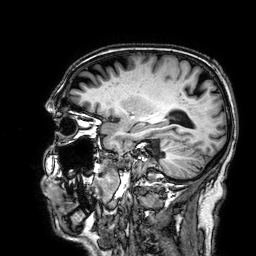
3 Tesla brain MRI. Series: 3D T1-weighted. Study: ring-enhancing brain masses.